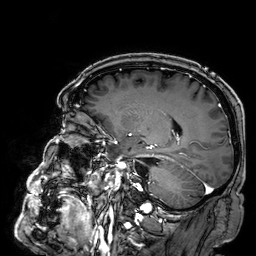
* modality: 3 Tesla brain MRI
* series: 3D T1-weighted
* study: ring-enhancing brain masses